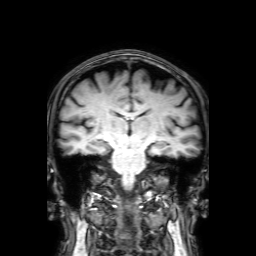
  modality:
    type: brain MRI
    field_strength: 3T
  series: 3D T1-weighted with SENSE
  study_topic: ring-enhancing brain masses